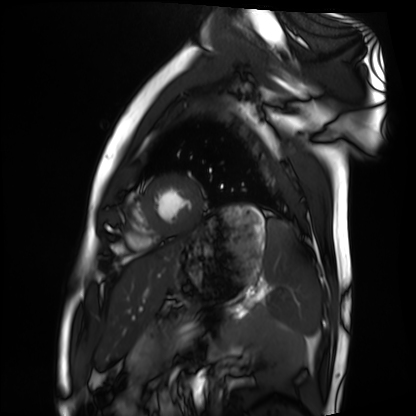
Summary: Cardiac MRI. Subject group: healthy volunteer.